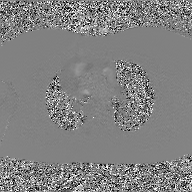
Case summary:
2D phase-contrast cine MRI of the ascending aorta, GAN super-resolution reconstruction.